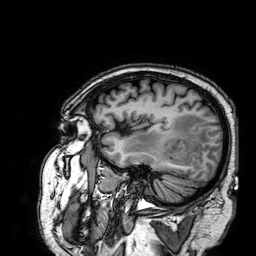
modality: 3 Tesla brain MRI
series: 3D T1-weighted
study: ring-enhancing brain masses